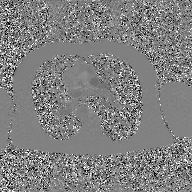
2D phase-contrast cine MRI of the ascending aorta, GAN super-resolution reconstruction.